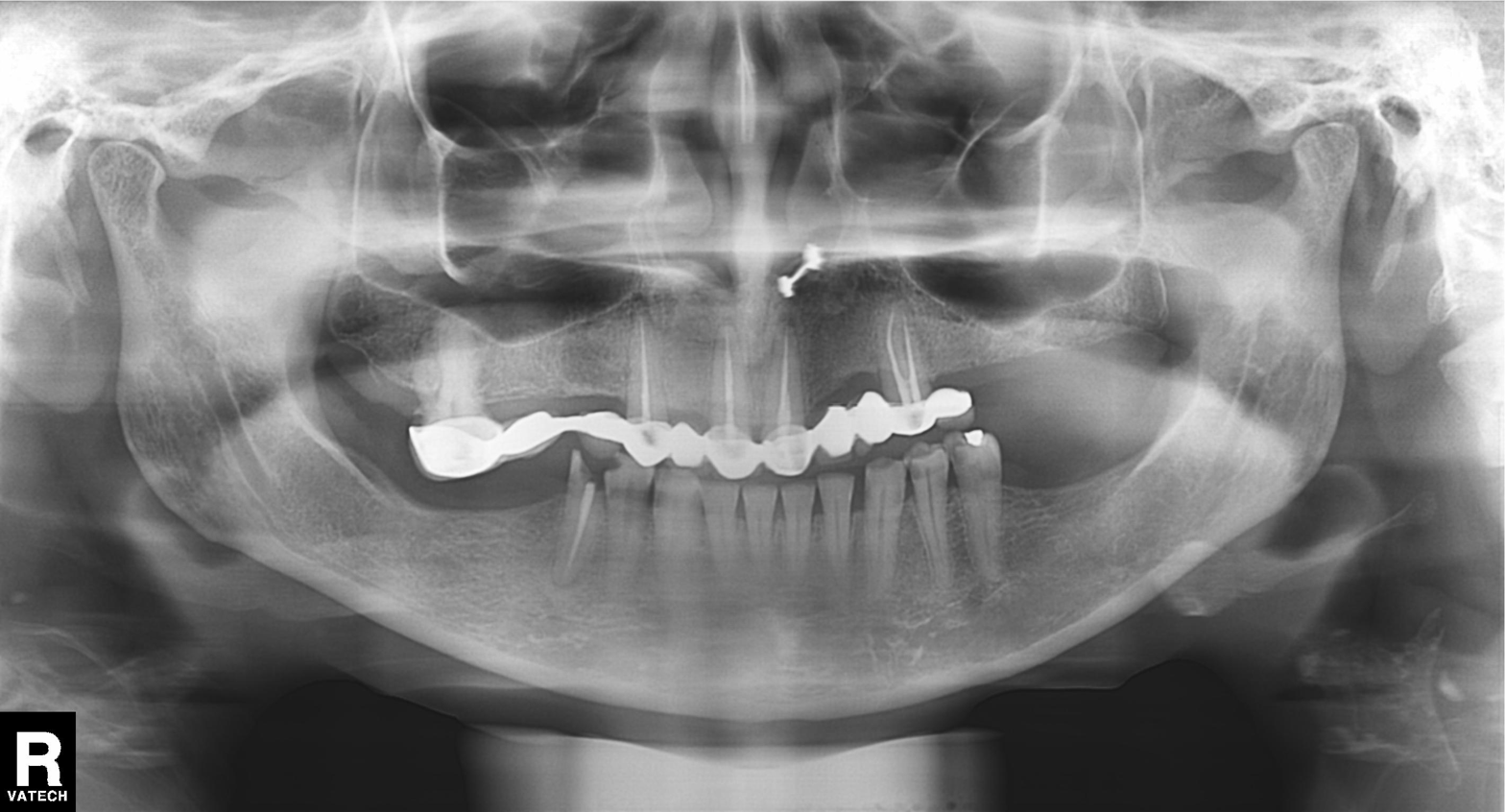
modality=panoramic dental radiograph (orthopantomogram)
finding=dental caries (cavities)